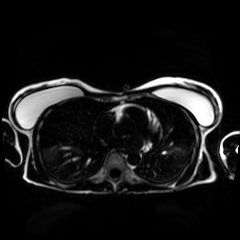
modality = chemical-shift-encoded cardiac MRI